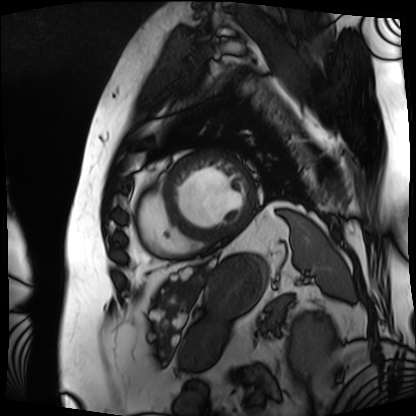
Case summary: Cardiac MRI. Subject group: patient.